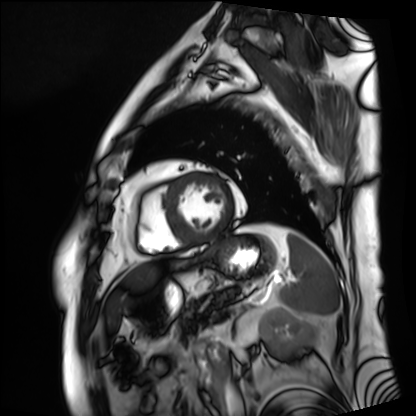
Q: What kind of scan is this?
A: Cardiac MRI.
Subject group: patient.